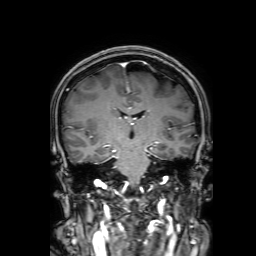
{
  "modality": {
    "type": "brain MRI",
    "field_strength": "3T"
  },
  "series": "3D T1-weighted with SENSE",
  "study_topic": "ring-enhancing brain masses"
}